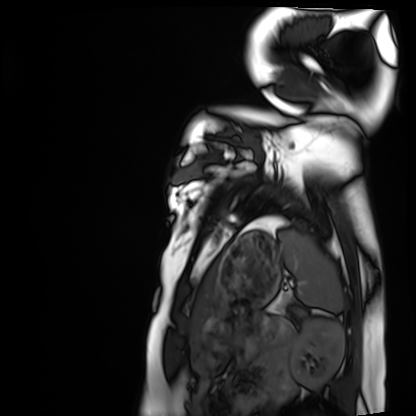
modality: cardiac MRI | subject group: healthy volunteer.